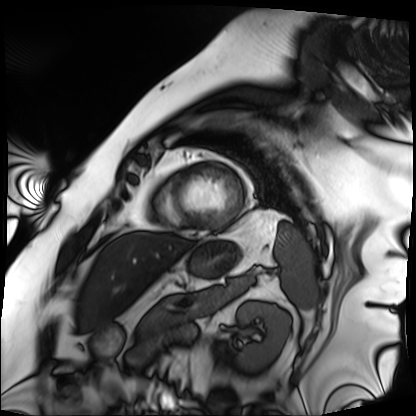
* modality: cardiac MRI
* subject group: patient